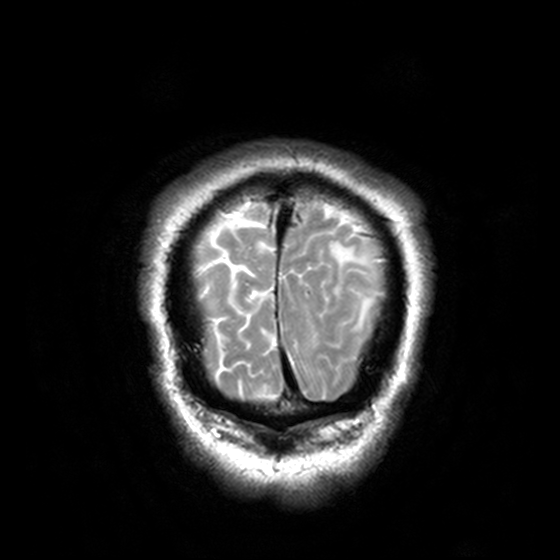
Case:
* modality — 3 Tesla brain MRI
* series — T2-weighted turbo spin echo, 3 mm
* study — ring-enhancing brain masses